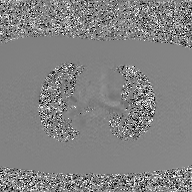
| field | value |
|---|---|
| modality | 2D phase-contrast cine MRI of the ascending aorta, GAN super-resolution reconstruction |